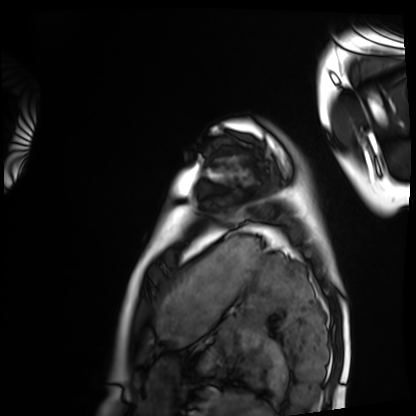
{
  "modality": "cardiac MRI",
  "cohort": "healthy volunteer"
}